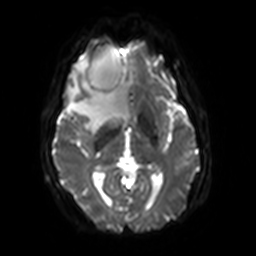
– modality · 3 Tesla brain MRI
– series · diffusion-weighted imaging with SENSE (WIP)
– study · ring-enhancing brain masses